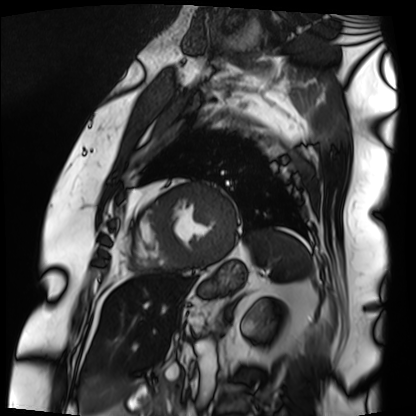
- modality — cardiac MRI
- subject group — patient